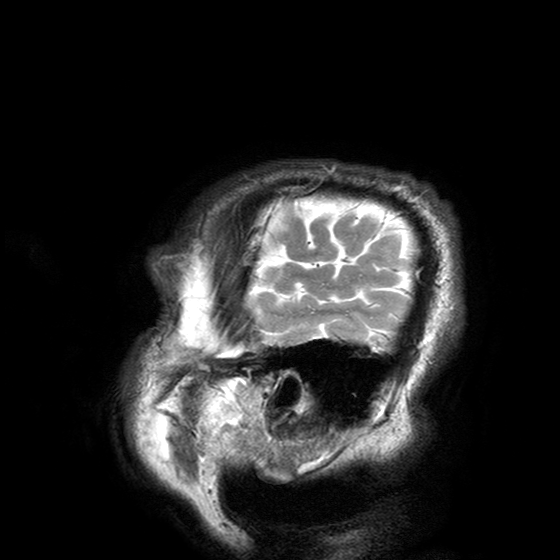
• modality · 3 Tesla brain MRI
• series · T2-weighted turbo spin echo with SENSE
• study · ring-enhancing brain masses